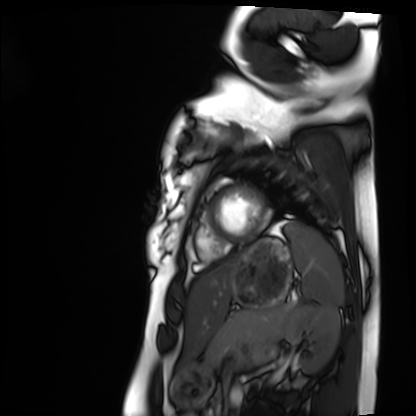
Q: What kind of scan is this?
A: Cardiac MRI.
Subject group: healthy volunteer.